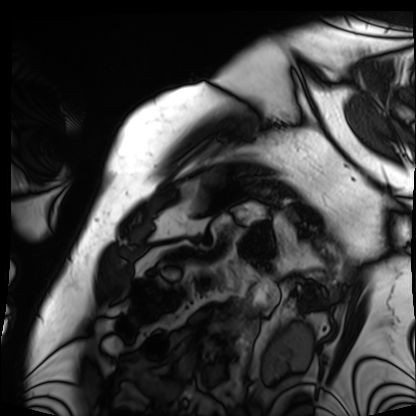
modality: cardiac MRI | subject group: patient.